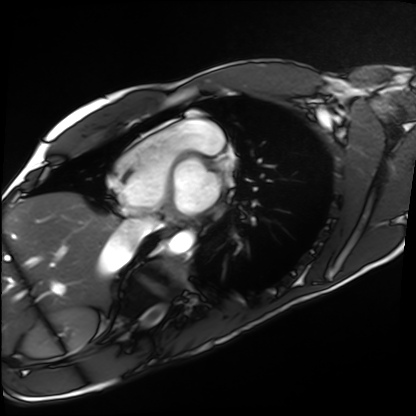
Case:
- modality — cardiac MRI
- subject group — healthy volunteer